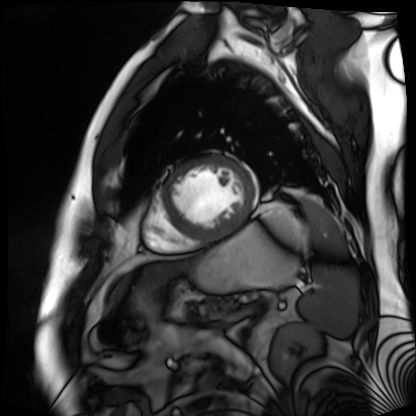
modality = cardiac MR image of the myocardium, subject cohort = cardiac patient.